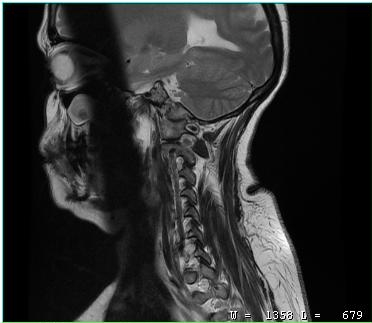
| field | value |
|---|---|
| modality | MRI of the cervical spine |
| study | cervical spondylosis |